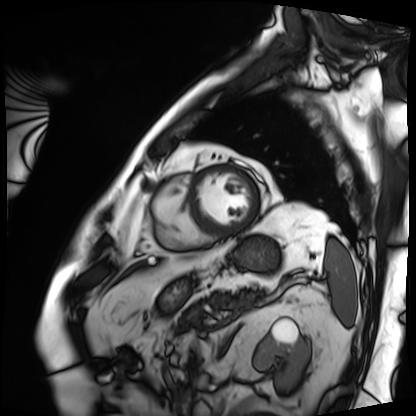
Cardiac MRI.
Subject group: patient.